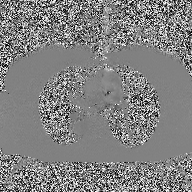
modality = 2D phase-contrast cine MRI of the ascending aorta.